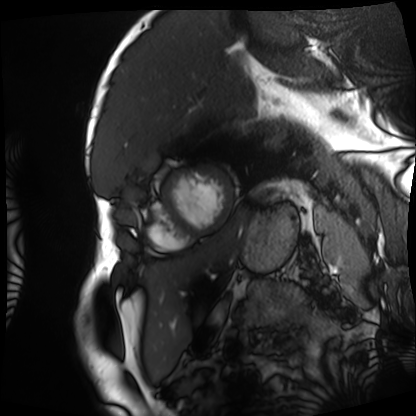
Cardiac MRI. Subject group: patient.